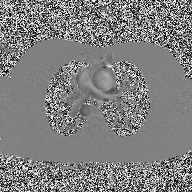
– modality — 2D phase-contrast cine MRI of the ascending aorta